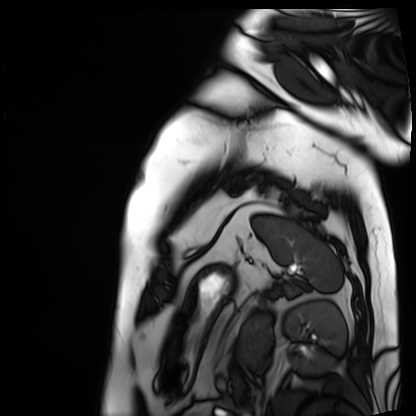
| field | value |
|---|---|
| modality | cardiac MRI |
| subject group | patient |